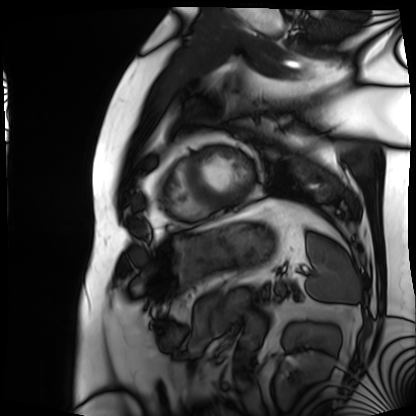
{"modality": "cardiac MRI", "cohort": "patient"}